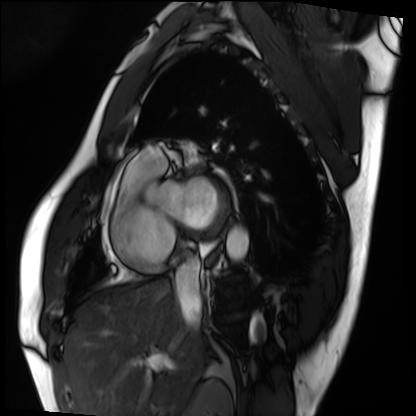
modality=cardiac MRI; subject group=patient.